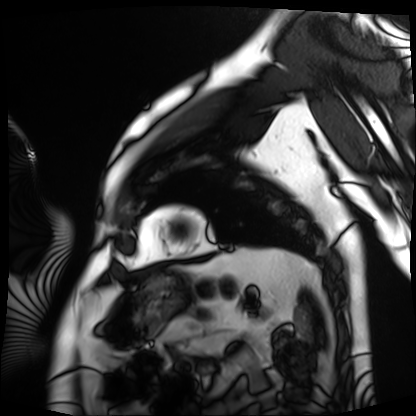
* modality: cardiac MRI
* subject group: patient